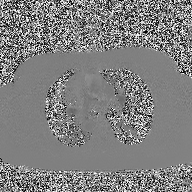
2D phase-contrast cine MRI of the ascending aorta, high-resolution GRAPPA acquisition.